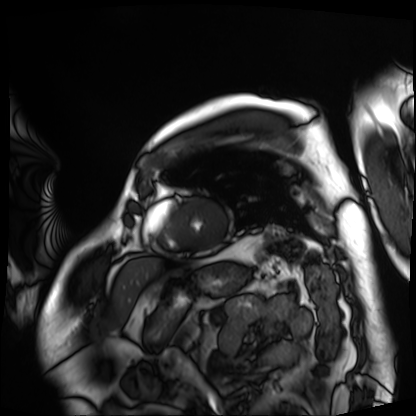
Cardiac MRI. Subject group: patient.